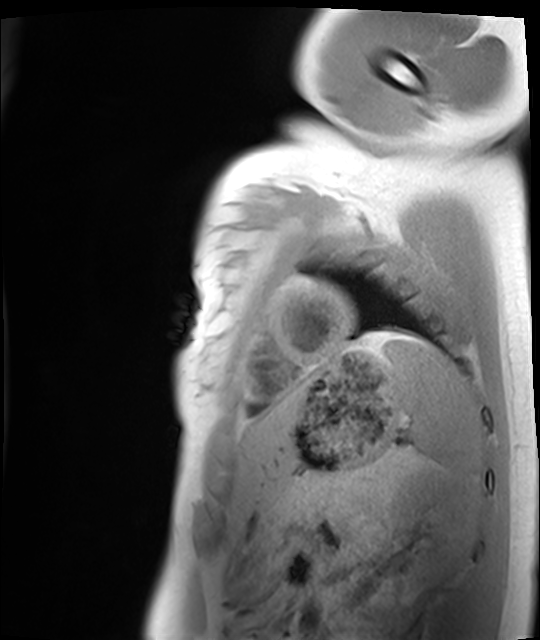
Case:
• modality: cardiac MRI
• subject group: healthy volunteer